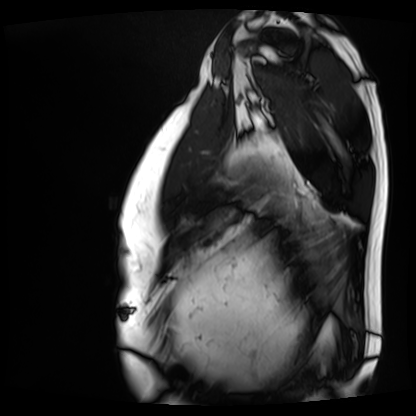
Clinical context:
Cardiac MRI. Subject group: patient.